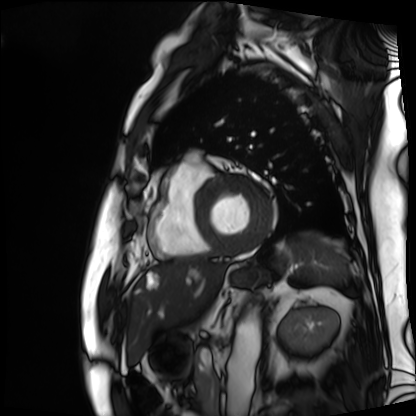
<study>
  <modality>cardiac MRI</modality>
  <cohort>patient</cohort>
</study>